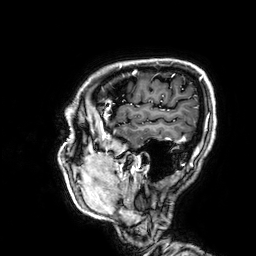
3 Tesla brain MRI.
Series: 3D T1-weighted.
Study: ring-enhancing brain masses.